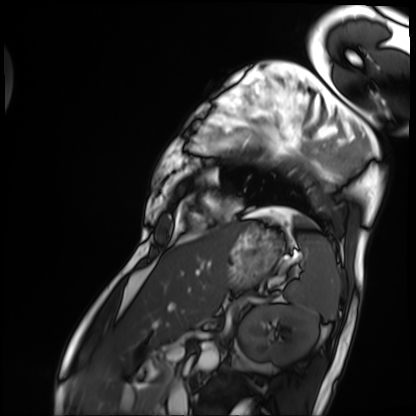
Cardiac MRI. Subject group: patient.